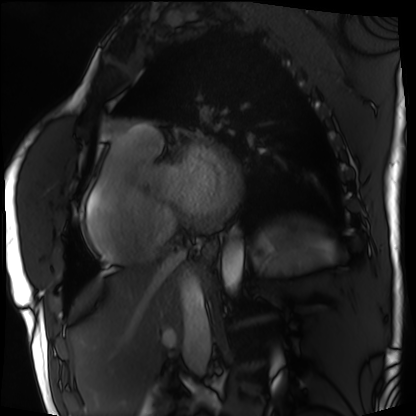
modality=cardiac MRI | subject group=patient.